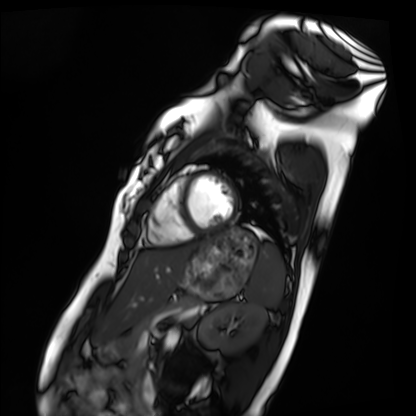
Q: What kind of scan is this?
A: Cardiac MRI.
Subject group: healthy volunteer.